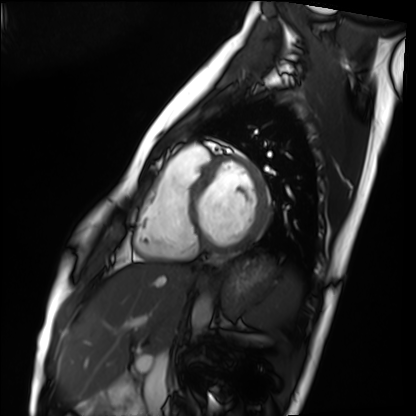
• modality: cardiac MRI
• subject group: healthy volunteer